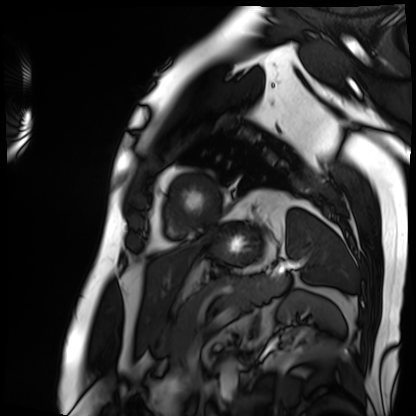
– modality · cardiac MRI
– subject group · patient